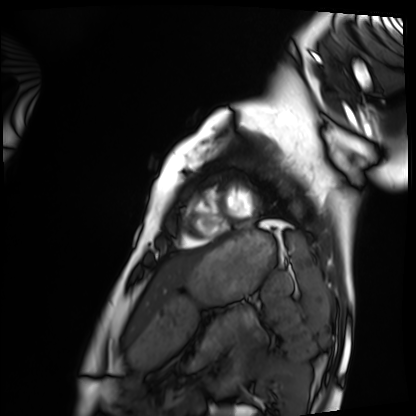
modality = cardiac MRI, subject group = healthy volunteer.